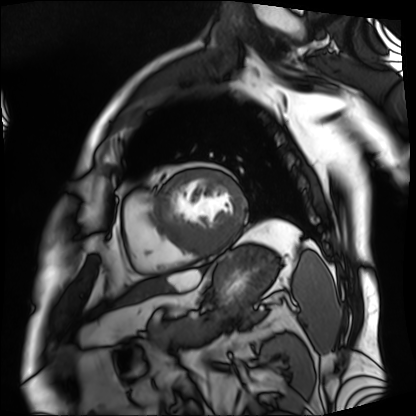
Cardiac MRI.
Subject group: patient.